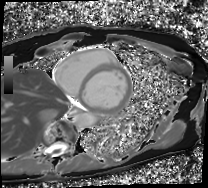
Cardiac MRI. Subject group: patient.